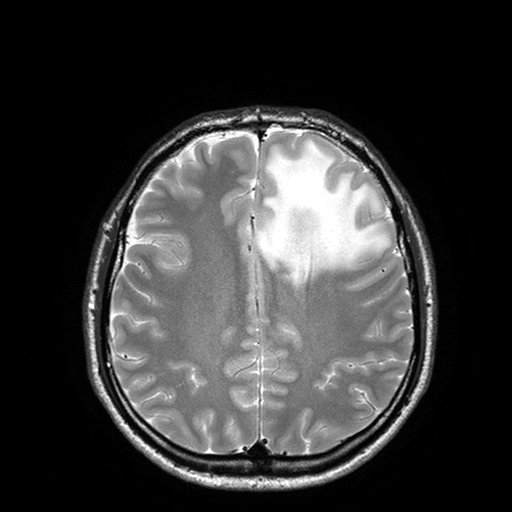
modality: 3 Tesla brain MRI
series: T2-weighted turbo spin echo with SENSE
study: ring-enhancing brain masses